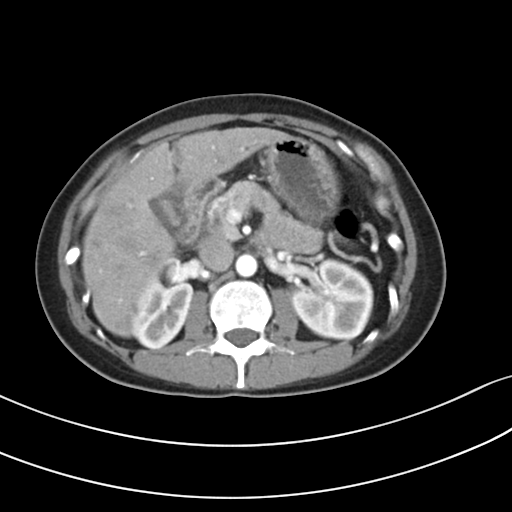
Summary:
Multiphase abdominal CT, liver, arterial phase. Patient: female, age 38.